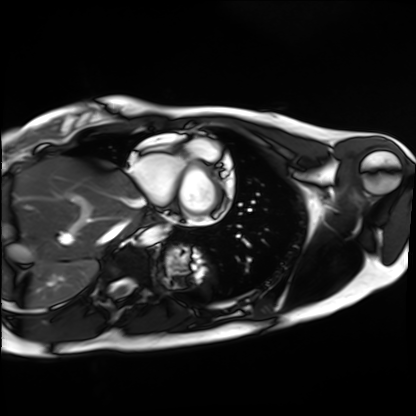
Cardiac MRI.
Subject group: healthy volunteer.